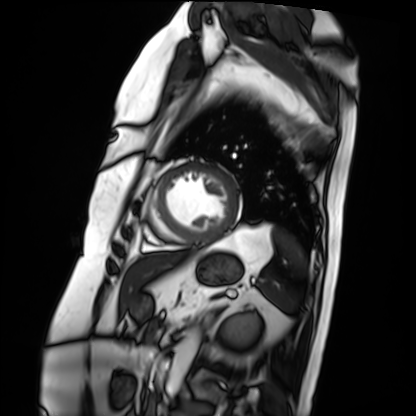
Case:
- modality · cardiac MRI
- subject group · patient